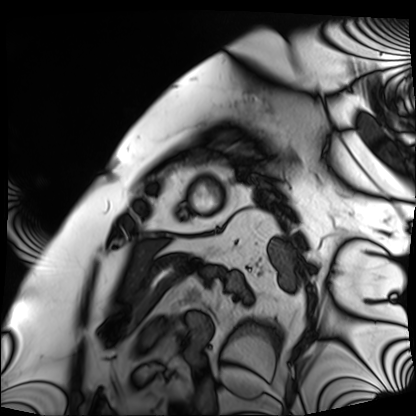
modality: cardiac MRI
cohort: patient